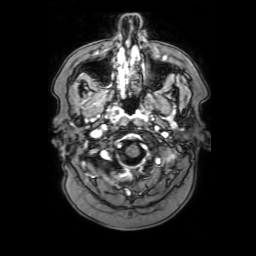
3 Tesla brain MRI. Series: 3D T1-weighted with SENSE. Study: ring-enhancing brain masses.